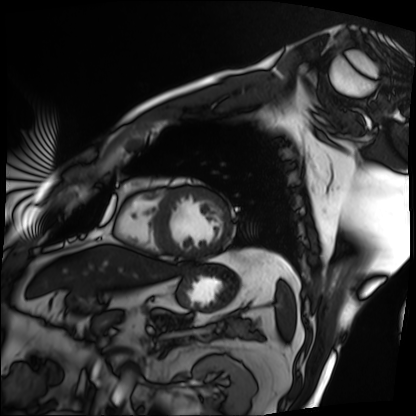
Cardiac MRI. Subject group: patient.